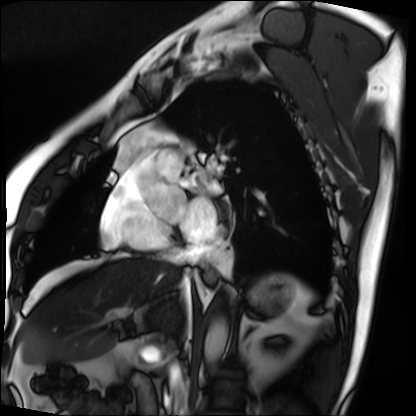
Clinical context:
Cardiac MRI. Subject group: patient.